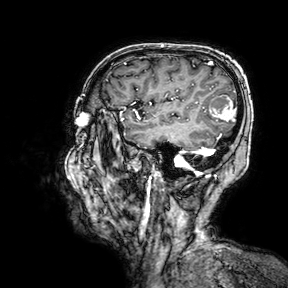
{"modality": {"type": "brain MRI", "field_strength": "3T"}, "series": "3D T1-weighted turbo field echo with SENSE", "study_topic": "ring-enhancing brain masses"}